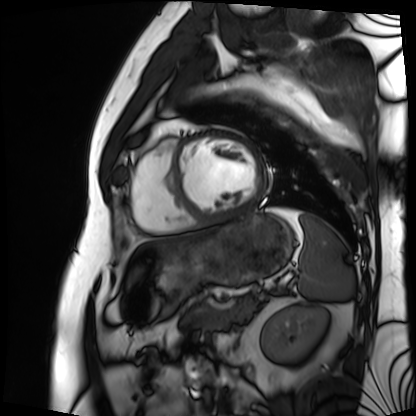
Cardiac MRI. Subject group: patient.